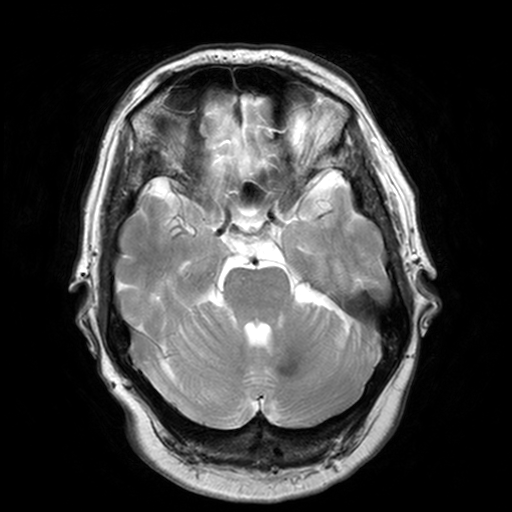
3 Tesla brain MRI.
Series: T2-weighted turbo spin echo, 3 mm.
Study: ring-enhancing brain masses.